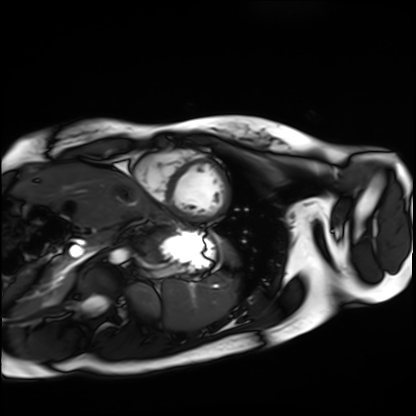
modality = cardiac MRI
subject group = healthy volunteer